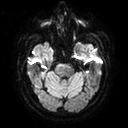
Clinical context:
3 Tesla brain MRI. Series: diffusion tensor imaging (medium iso). Study: ring-enhancing brain masses.